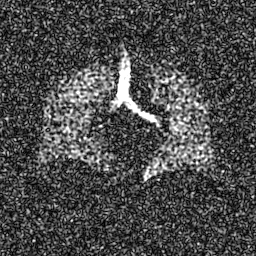
Hyperpolarized 129Xe ventilation MRI of the lungs.
SNR level 8 of 8 (the deposit holds this scan as its native image and as seven SNR-degraded versions).